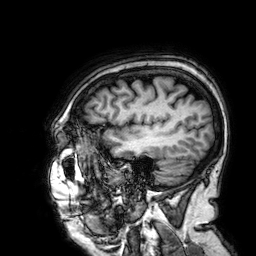
Case:
• modality: 3 Tesla brain MRI
• series: 3D T1-weighted
• study: ring-enhancing brain masses